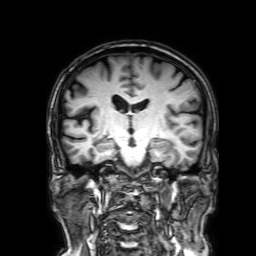
3 Tesla brain MRI. Study: ring-enhancing brain masses.